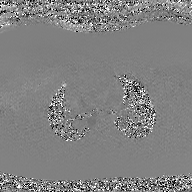
Q: What kind of scan is this?
A: 2D phase-contrast cine MRI of the ascending aorta, GAN super-resolution reconstruction.